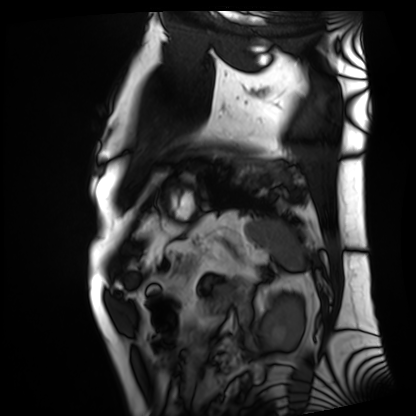
Q: What kind of scan is this?
A: Cardiac MRI.
Subject group: patient.